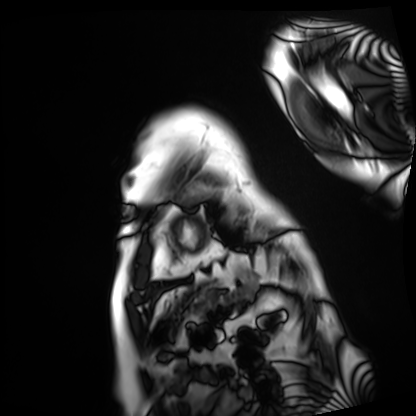
Q: What kind of scan is this?
A: Cardiac MRI.
Subject group: patient.